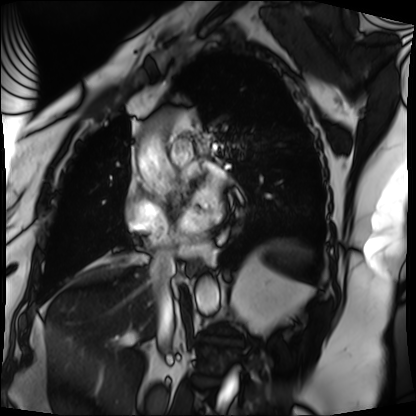
modality = cardiac MRI
subject group = patient